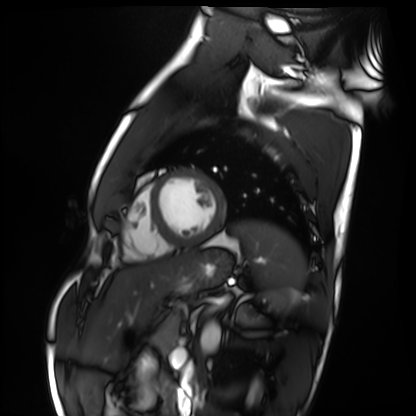
{"modality": "cardiac MRI", "cohort": "healthy volunteer"}